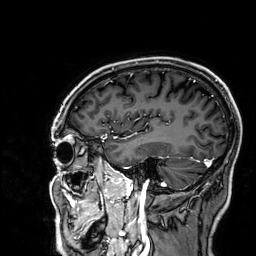
Q: What kind of scan is this?
A: 3 Tesla brain MRI.
Q: Series?
A: 3D T1-weighted.
Study: ring-enhancing brain masses.